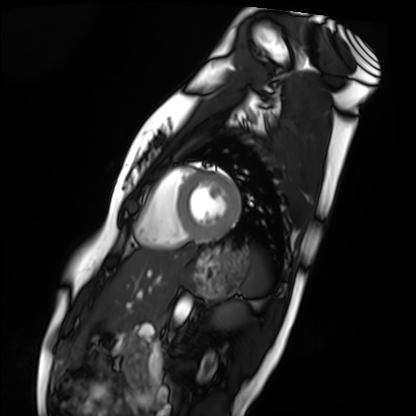
Cardiac MRI.
Subject group: healthy volunteer.